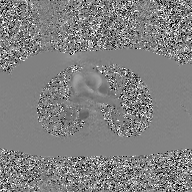
2D phase-contrast cine MRI of the ascending aorta, GAN super-resolution reconstruction.